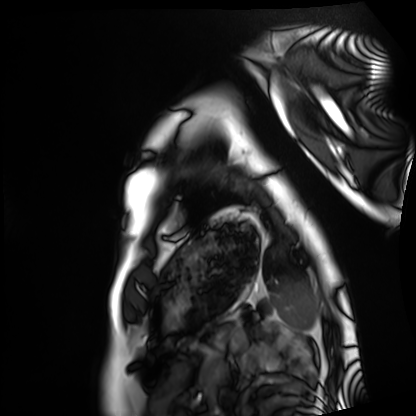
| field | value |
|---|---|
| modality | cardiac MRI |
| subject group | healthy volunteer |